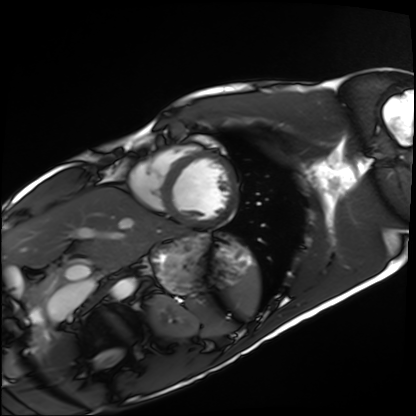
Cardiac MRI. Subject group: healthy volunteer.